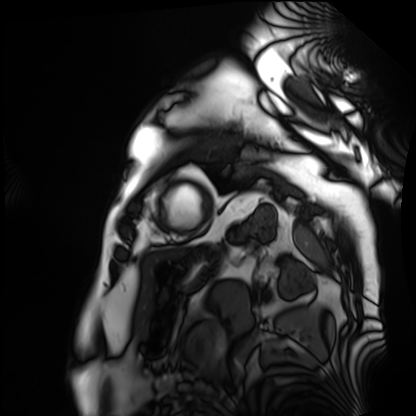
modality: cardiac MRI | subject group: patient.